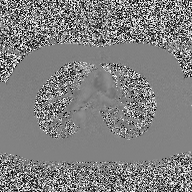
2D phase-contrast cine MRI of the ascending aorta, high-resolution GRAPPA acquisition.